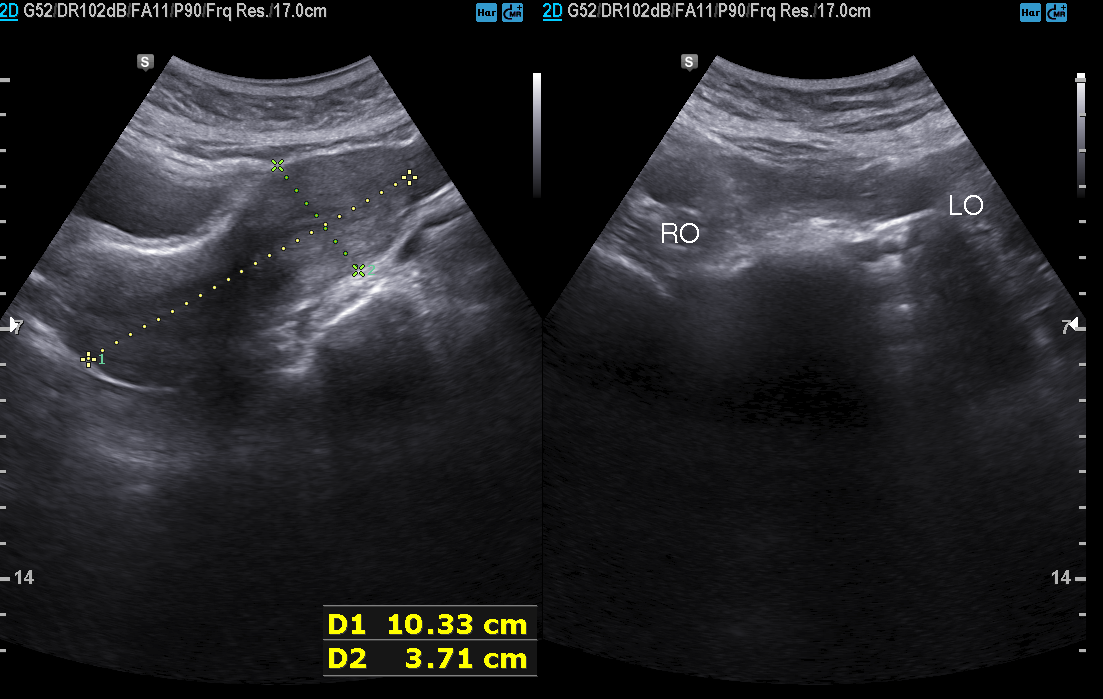
{
  "modality": {
    "type": "genitourinary ultrasound"
  }
}